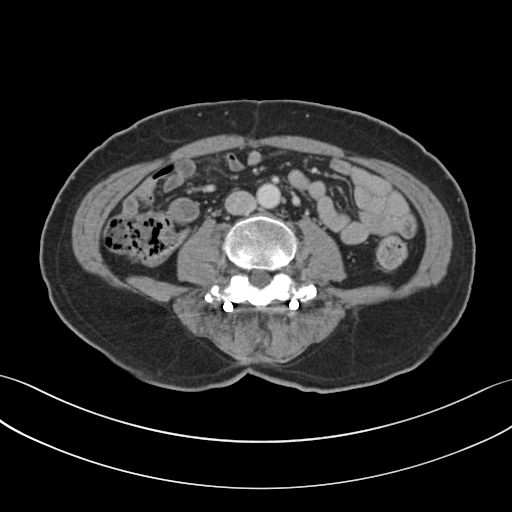
Q: What kind of scan is this?
A: Multiphase abdominal CT, liver, portal venous phase.
Q: Patient?
A: Male, age 65.